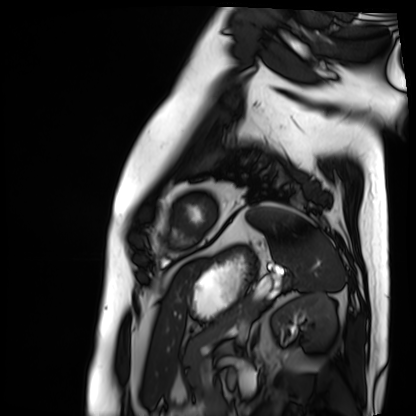
Cardiac MRI.
Subject group: patient.